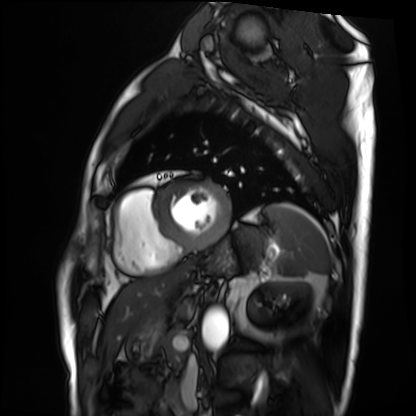
Summary:
Cardiac MRI. Subject group: patient.